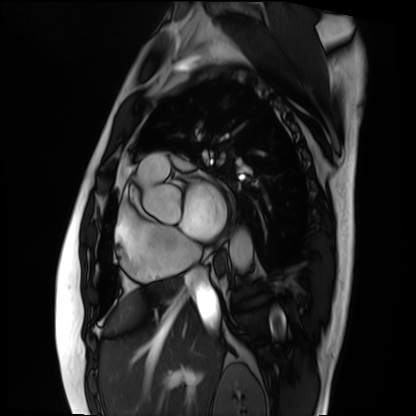
modality: cardiac MRI, subject group: patient.